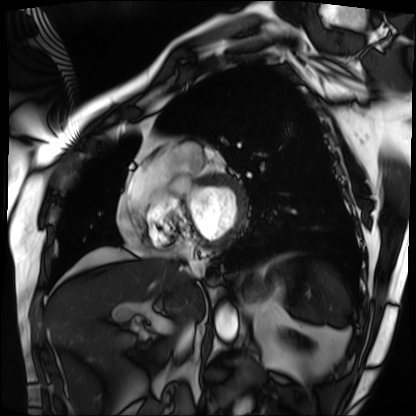
modality = cardiac MRI | subject group = patient.